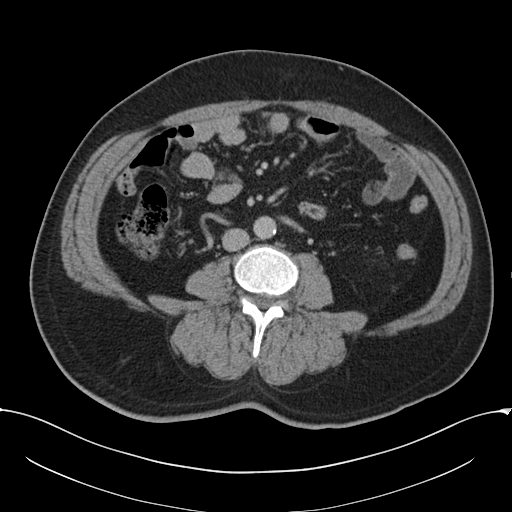
Multiphase abdominal CT, liver, delayed phase. Patient: male, age 52. History: cirrhosis, viral hepatitis.